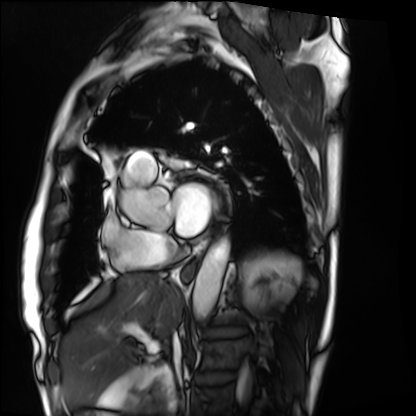
| field | value |
|---|---|
| modality | cardiac MRI |
| subject group | patient |